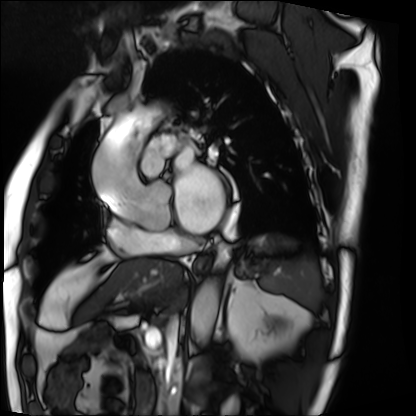
* modality · cardiac MRI
* subject group · patient